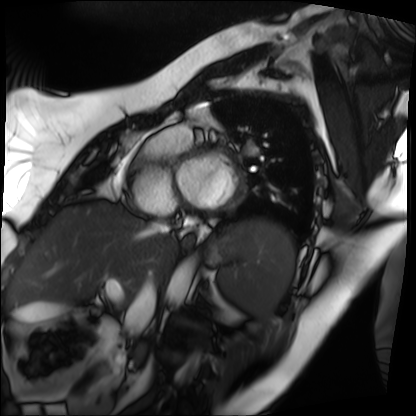
modality = cardiac MRI
subject group = patient